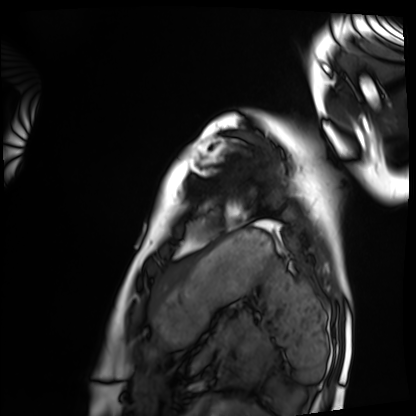
Cardiac MRI. Subject group: healthy volunteer.